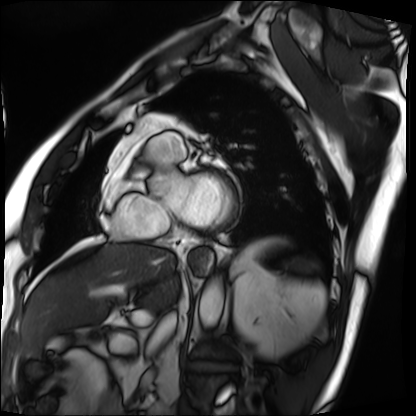
Cardiac MRI. Subject group: patient.